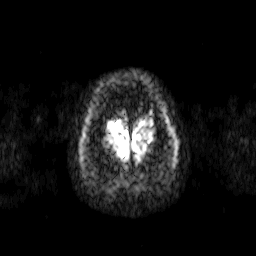
3 Tesla brain MRI. Series: diffusion-weighted imaging. Study: ring-enhancing brain masses.